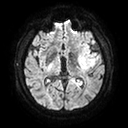
| field | value |
|---|---|
| modality | 3 Tesla brain MRI |
| study | ring-enhancing brain masses |